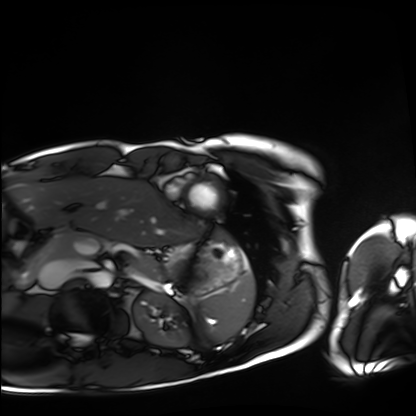
modality: cardiac MRI
subject group: healthy volunteer